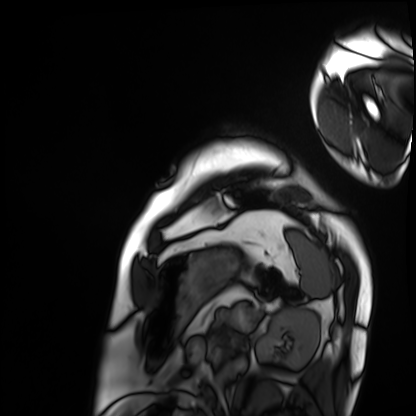
Cardiac MRI.
Subject group: patient.